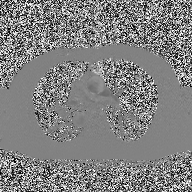
Q: What kind of scan is this?
A: 2D phase-contrast cine MRI of the ascending aorta.